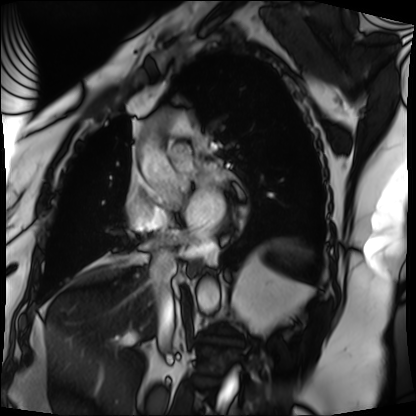
modality: cardiac MRI | subject group: patient.